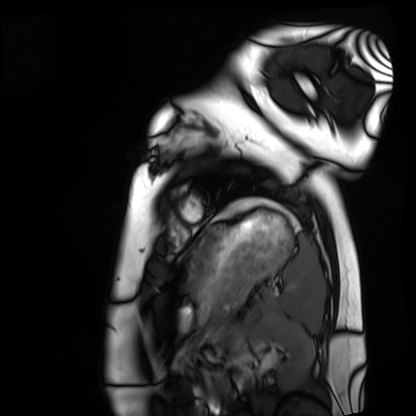
modality: cardiac MRI
cohort: healthy volunteer